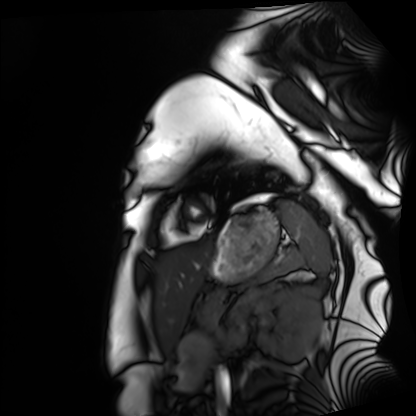
modality: cardiac MRI
cohort: healthy volunteer